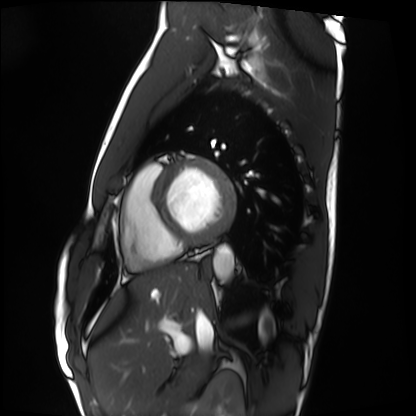
Summary: Cardiac MRI. Subject group: healthy volunteer.